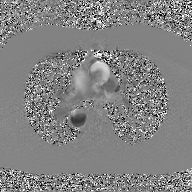
modality:
  type: 2D phase-contrast cine MRI
  region: ascending aorta
  reconstruction: GAN super-resolution reconstruction